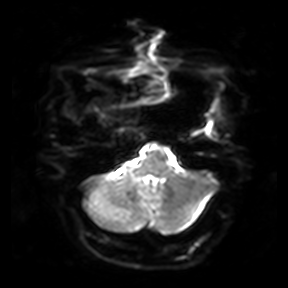
modality:
  type: brain MRI
  field_strength: 3T
series: diffusion-weighted imaging
study_topic: ring-enhancing brain masses